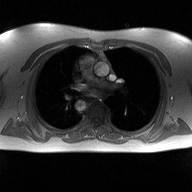
{
  "modality": {
    "type": "2D phase-contrast cine MRI",
    "region": "ascending aorta",
    "reconstruction": "high-resolution GRAPPA acquisition"
  }
}